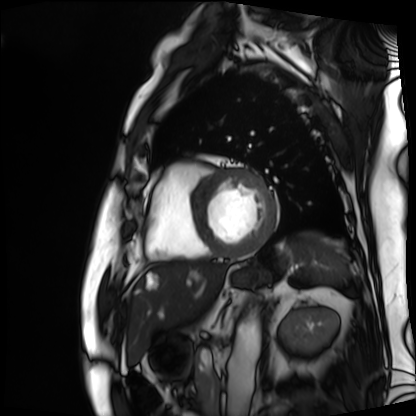
Cardiac MRI.
Subject group: patient.